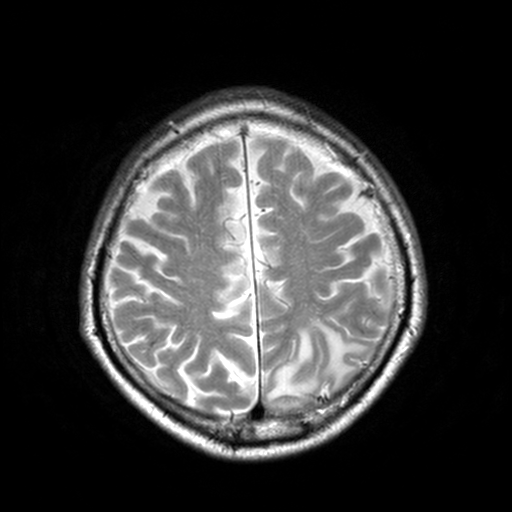
modality: 3 Tesla brain MRI; series: T2-weighted turbo spin echo, 3 mm; study: ring-enhancing brain masses.